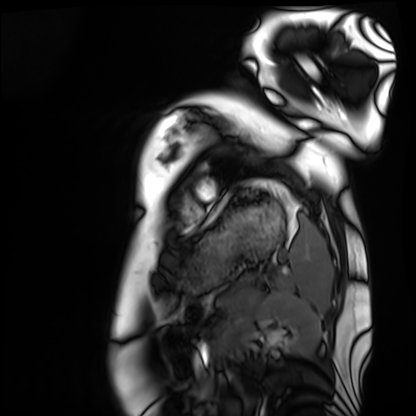
modality: cardiac MRI | subject group: healthy volunteer.